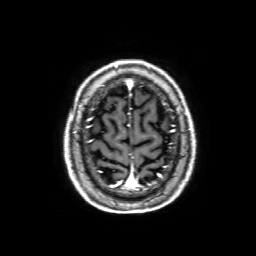
Summary: 3 Tesla brain MRI. Series: 3D T1-weighted with SENSE. Study: ring-enhancing brain masses.